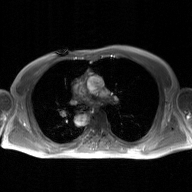
2D phase-contrast cine MRI of the ascending aorta, GAN super-resolution reconstruction.